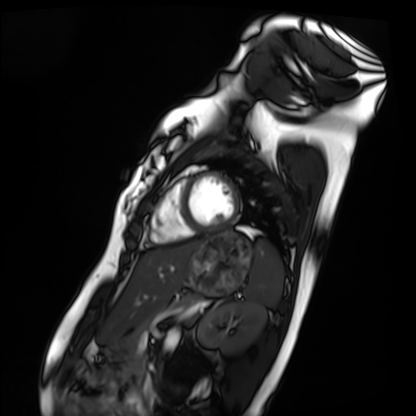
Case:
– modality · cardiac MRI
– subject group · healthy volunteer